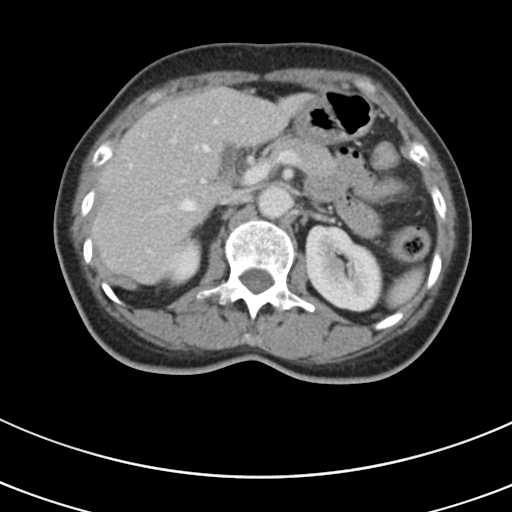
Multiphase abdominal CT, liver, portal venous phase. Patient: female, age 53. History: prior chemotherapy.